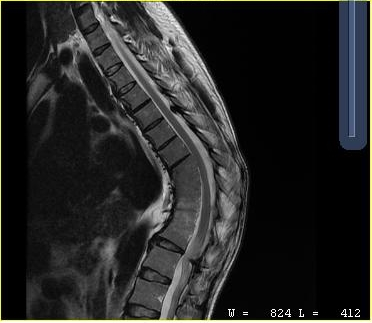
MRI of the cervical spine.
Study: cervical spondylosis.